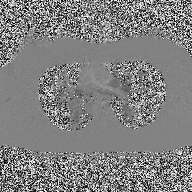
2D phase-contrast cine MRI of the ascending aorta, high-resolution GRAPPA acquisition.